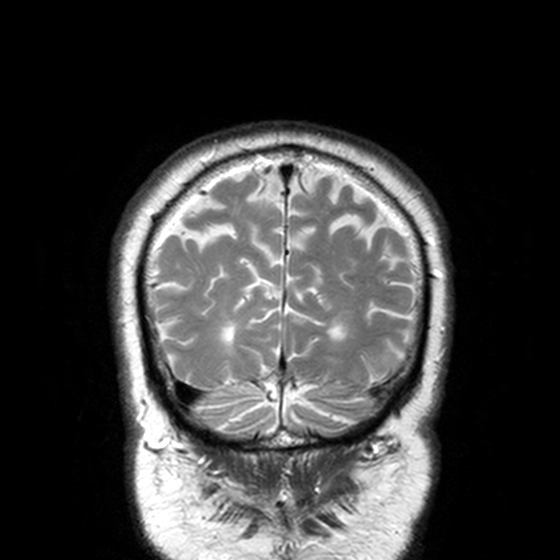
| field | value |
|---|---|
| modality | 3 Tesla brain MRI |
| series | T2-weighted turbo spin echo, 3 mm |
| study | ring-enhancing brain masses |